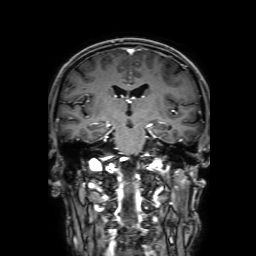
Q: What kind of scan is this?
A: 3 Tesla brain MRI.
Q: Series?
A: 3D T1-weighted with SENSE.
Study: ring-enhancing brain masses.